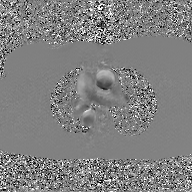
2D phase-contrast cine MRI of the ascending aorta, GAN super-resolution reconstruction.